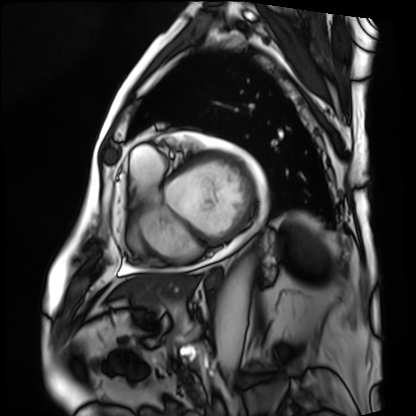
Cardiac MRI. Subject group: patient.